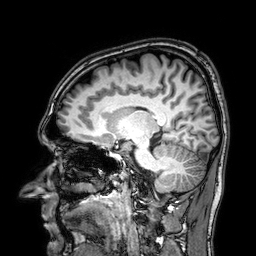
Q: What kind of scan is this?
A: 3 Tesla brain MRI.
Q: Series?
A: 3D T1-weighted.
Study: ring-enhancing brain masses.